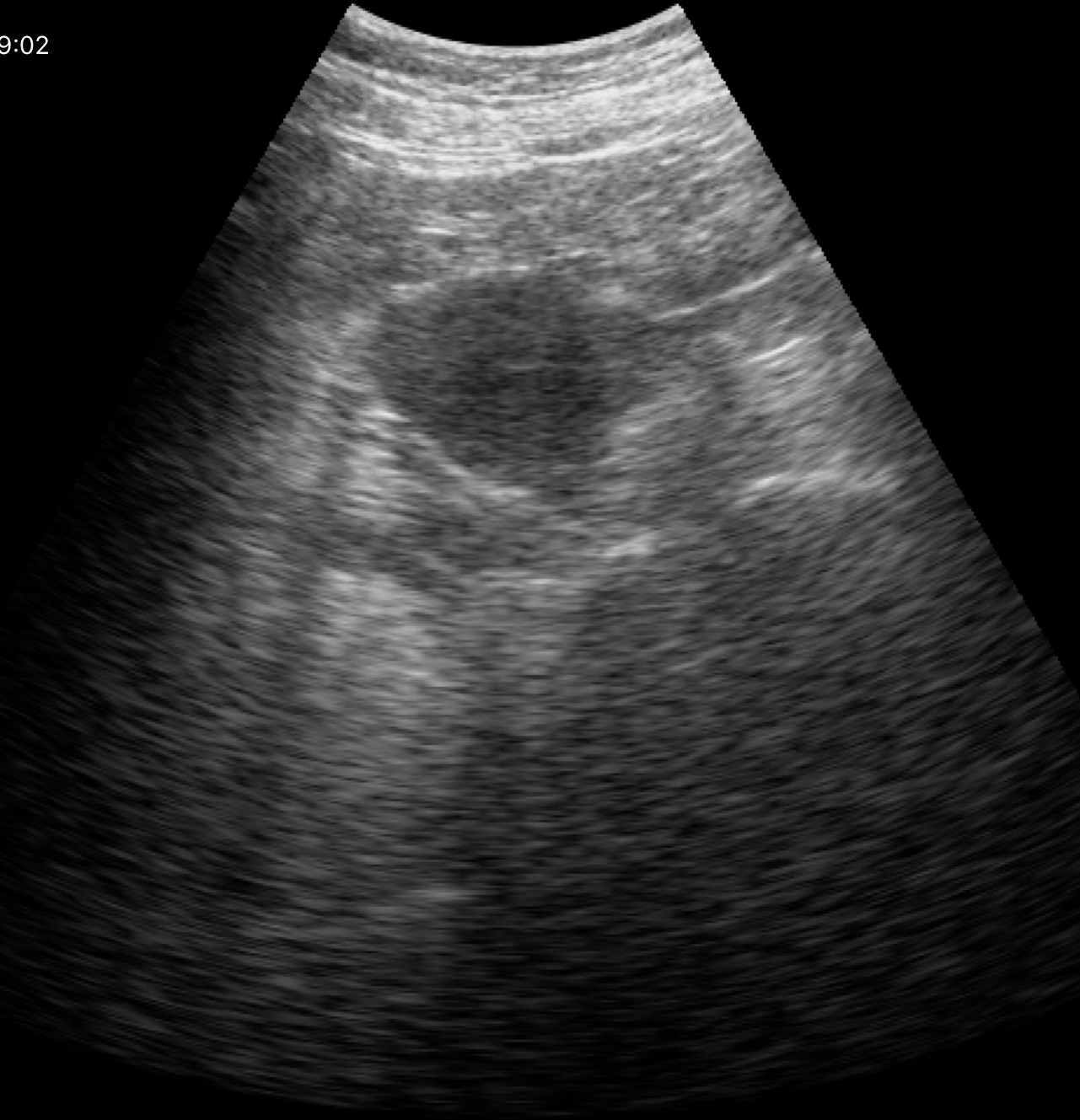
Summary:
Genitourinary ultrasound.